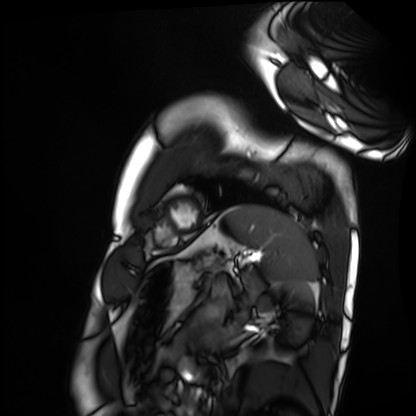
Q: What kind of scan is this?
A: Cardiac MRI.
Subject group: healthy volunteer.